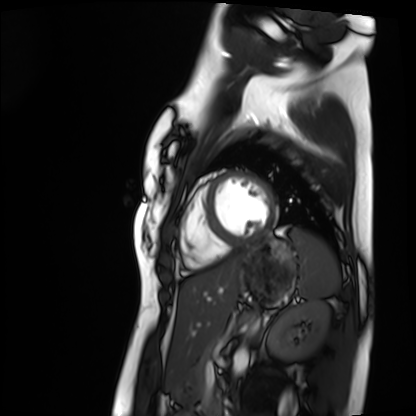
Cardiac MRI.
Subject group: healthy volunteer.